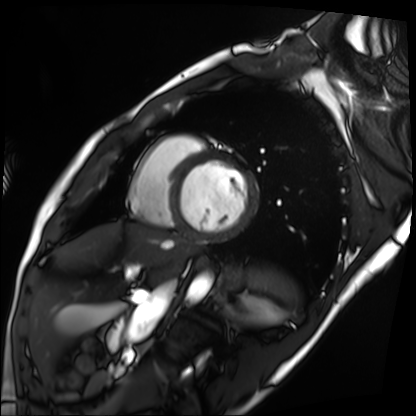
Clinical context:
Cardiac MRI. Subject group: patient.